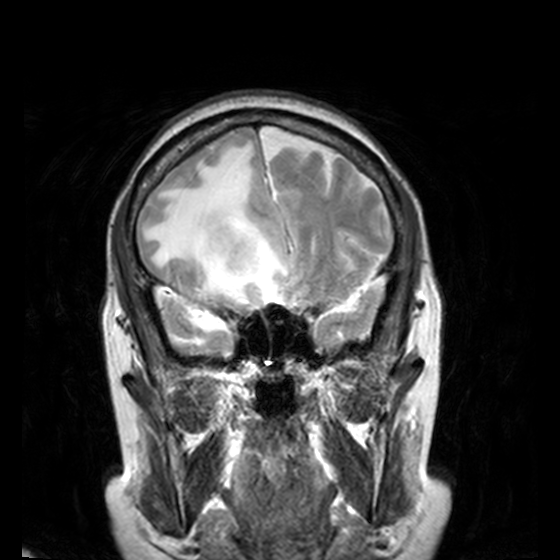
Case summary:
3 Tesla brain MRI. Series: T2-weighted turbo spin echo, 3 mm. Study: ring-enhancing brain masses.